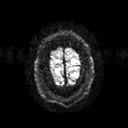
3 Tesla brain MRI.
Series: diffusion tensor imaging (medium iso).
Study: ring-enhancing brain masses.